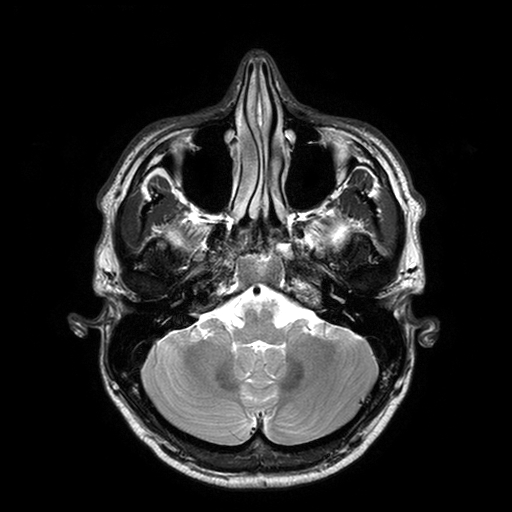
Summary: 3 Tesla brain MRI. Series: T2-weighted turbo spin echo with SENSE. Study: ring-enhancing brain masses.